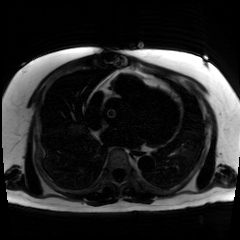
Chemical-shift-encoded cardiac MRI.